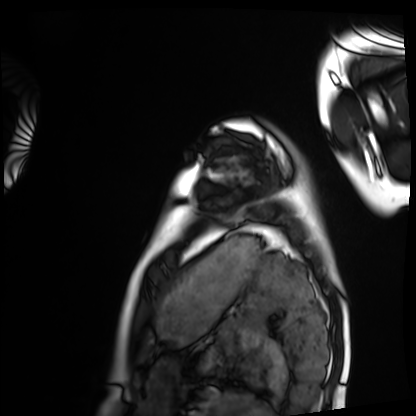
modality: cardiac MRI; subject group: healthy volunteer.